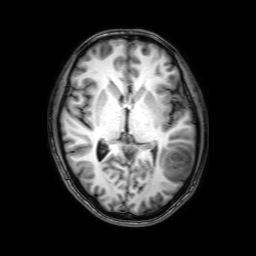
{"modality": {"type": "brain MRI", "field_strength": "3T"}, "series": "3D T1-weighted with SENSE", "study_topic": "ring-enhancing brain masses"}